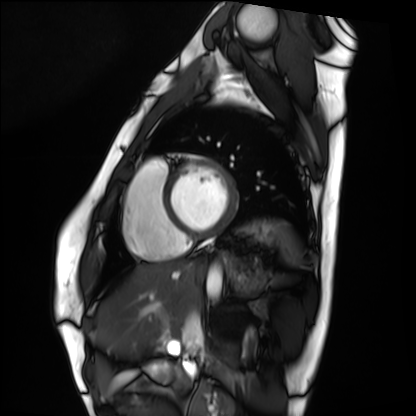
Summary:
Cardiac MRI. Subject group: healthy volunteer.